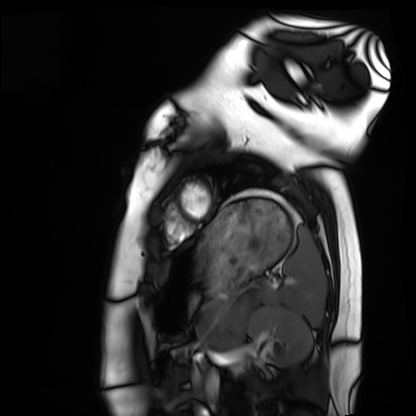
Cardiac MRI. Subject group: healthy volunteer.